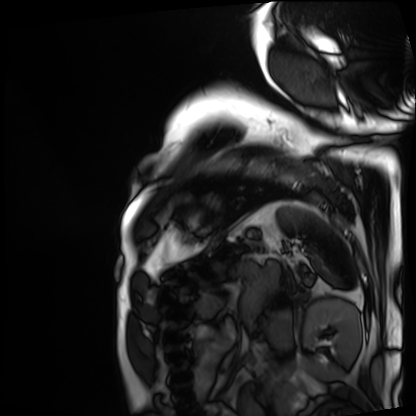
Q: What kind of scan is this?
A: Cardiac MRI.
Subject group: patient.